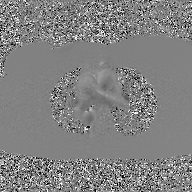
2D phase-contrast cine MRI of the ascending aorta, GAN super-resolution reconstruction.